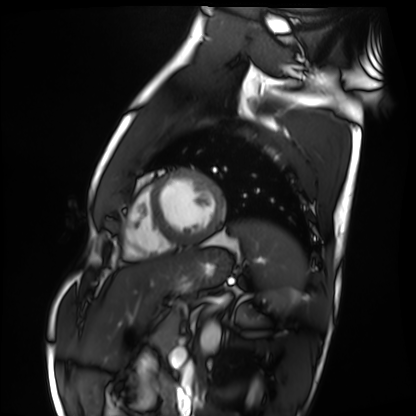
Cardiac MRI. Subject group: healthy volunteer.